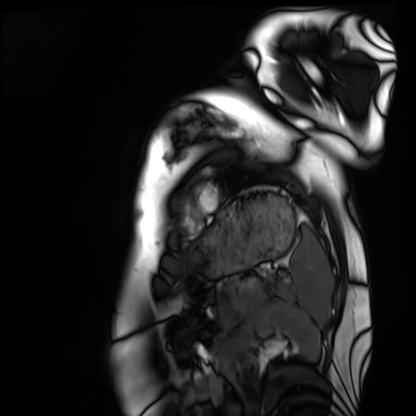
Case:
* modality · cardiac MRI
* subject group · healthy volunteer